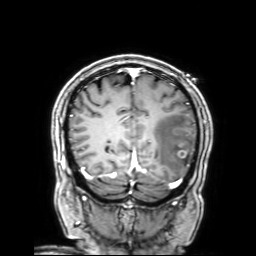
Q: What kind of scan is this?
A: 3 Tesla brain MRI.
Q: Series?
A: 3D T1-weighted with SENSE.
Study: ring-enhancing brain masses.